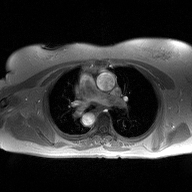
Q: What kind of scan is this?
A: 2D phase-contrast cine MRI of the ascending aorta.